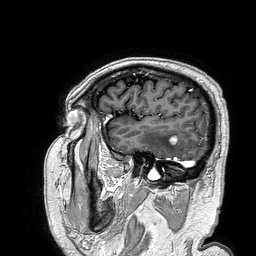
3 Tesla brain MRI. Series: 3D T1-weighted turbo field echo. Study: ring-enhancing brain masses.